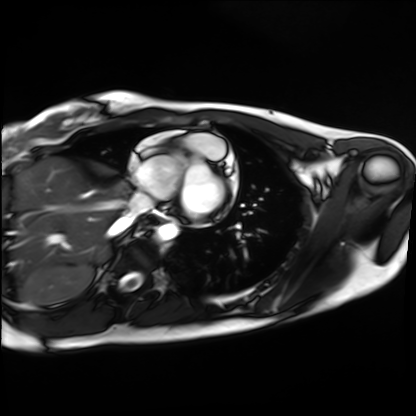
modality — cardiac MRI
subject group — healthy volunteer